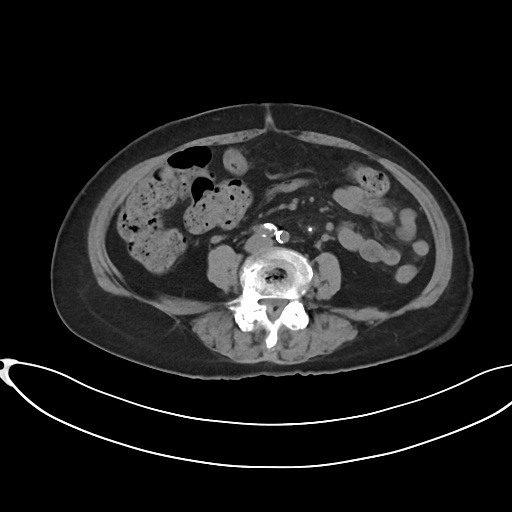
modality: multiphase abdominal CT, liver, non-contrast phase; patient: female, age 80.